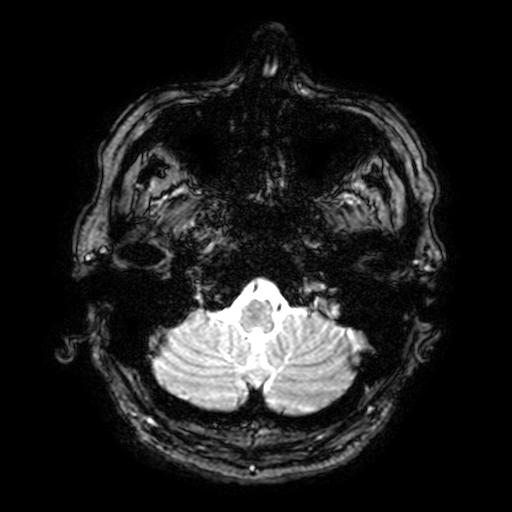
Clinical context: 3 Tesla brain MRI. Series: T2-weighted fast field echo with SENSE. Study: ring-enhancing brain masses.